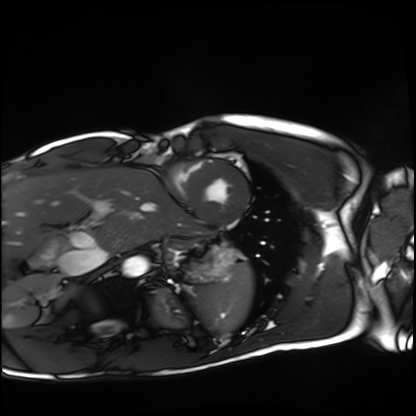
{
  "modality": "cardiac MRI",
  "cohort": "healthy volunteer"
}